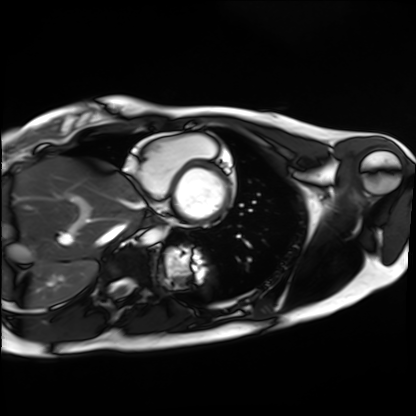
modality=cardiac MRI | subject group=healthy volunteer.